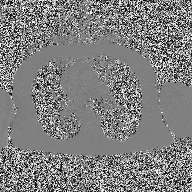
2D phase-contrast cine MRI of the ascending aorta, high-resolution GRAPPA acquisition.